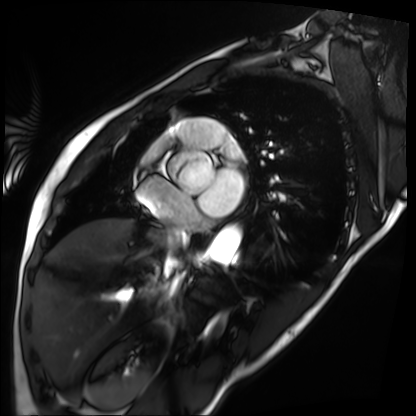
modality = cardiac MRI
subject group = patient